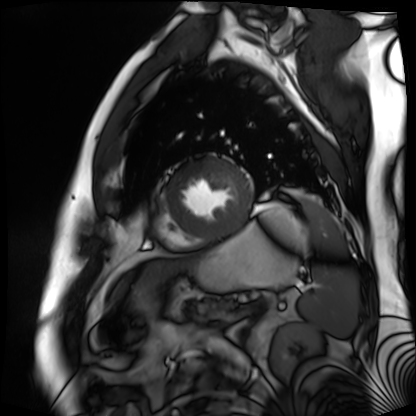
Cardiac MR image of the myocardium.
Subject cohort: cardiac patient.